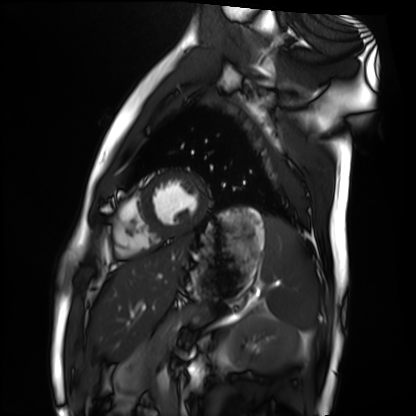
Summary:
Cardiac MRI. Subject group: healthy volunteer.